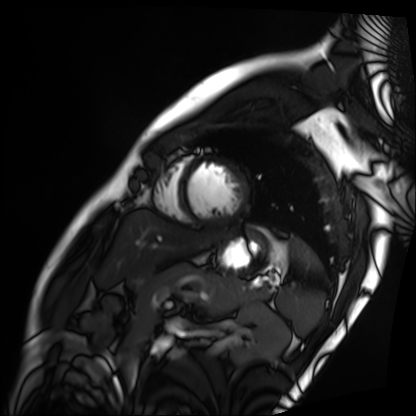
Case summary: Cardiac MRI. Subject group: patient.